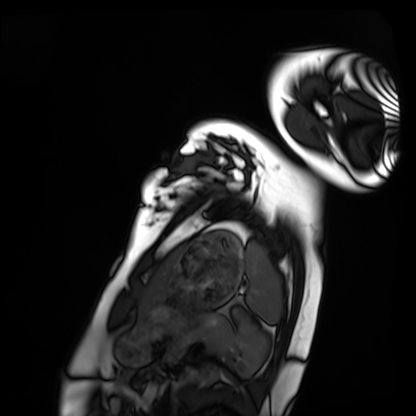
Cardiac MRI.
Subject group: healthy volunteer.